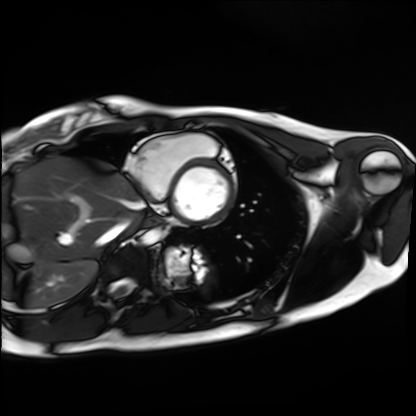
<scan>
  <modality>cardiac MRI</modality>
  <cohort>healthy volunteer</cohort>
</scan>